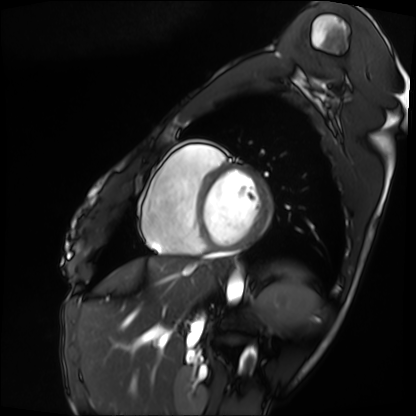
Cardiac MRI.
Subject group: patient.